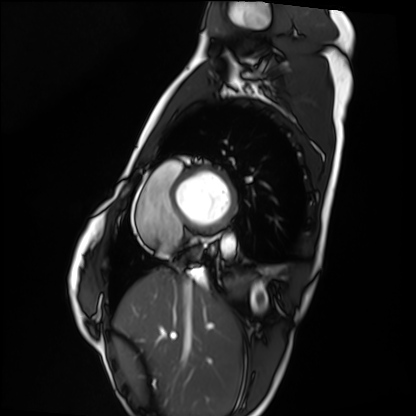
modality: cardiac MRI
subject group: healthy volunteer